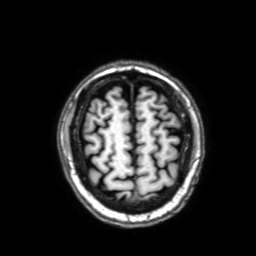
– modality — 3 Tesla brain MRI
– series — 3D T1-weighted with SENSE
– study — ring-enhancing brain masses